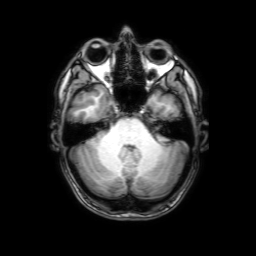
modality — 3 Tesla brain MRI; series — 3D T1-weighted with SENSE; study — ring-enhancing brain masses.